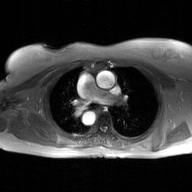
| field | value |
|---|---|
| modality | 2D phase-contrast cine MRI of the ascending aorta, GAN super-resolution reconstruction |